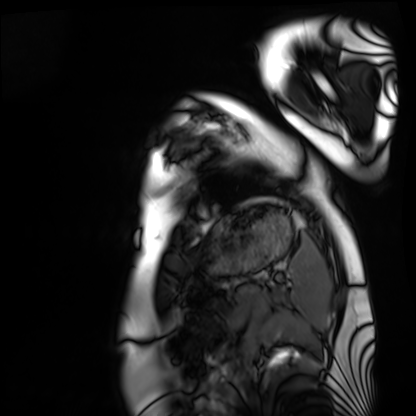
<scan>
<modality>cardiac MRI</modality>
<cohort>healthy volunteer</cohort>
</scan>